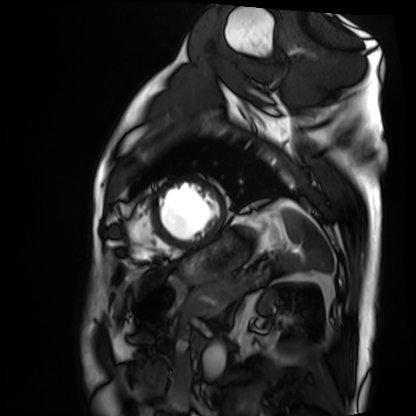
{"modality": "cardiac MRI", "cohort": "patient"}